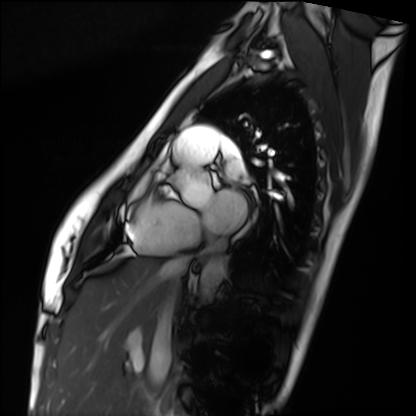
modality = cardiac MRI
subject group = healthy volunteer